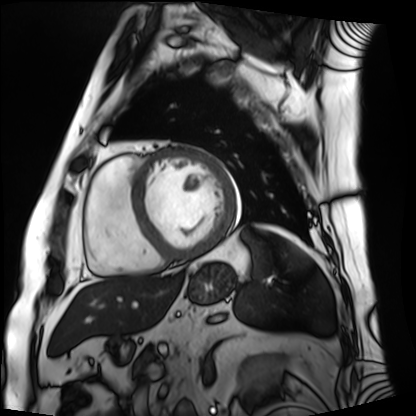
Cardiac MRI.
Subject group: patient.